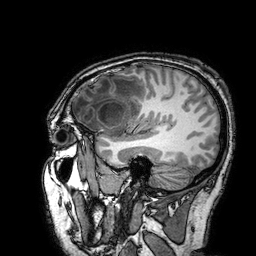
<study>
  <modality>
    <type>brain MRI</type>
    <field_strength>3T</field_strength>
  </modality>
  <series>3D T1-weighted turbo field echo with SENSE</series>
  <study_topic>ring-enhancing brain masses</study_topic>
</study>